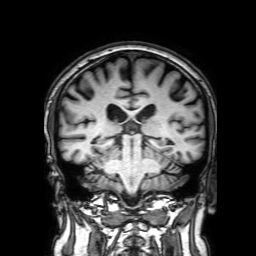
3 Tesla brain MRI. Series: 3D T1-weighted with SENSE. Study: ring-enhancing brain masses.